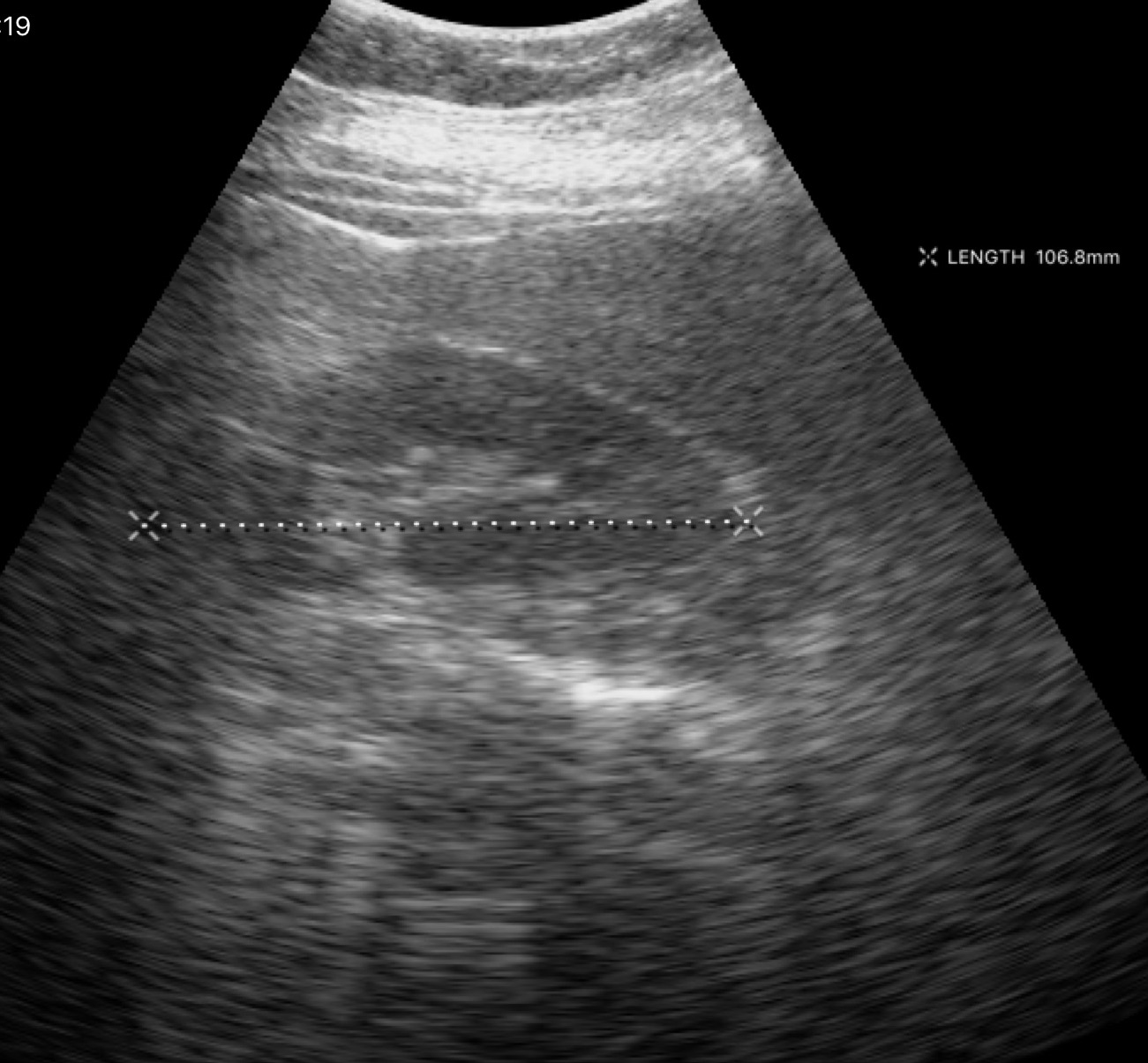
Q: What kind of scan is this?
A: Genitourinary ultrasound.